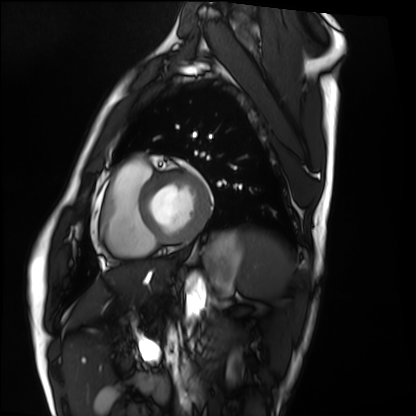
Q: What kind of scan is this?
A: Cardiac MRI.
Subject group: healthy volunteer.